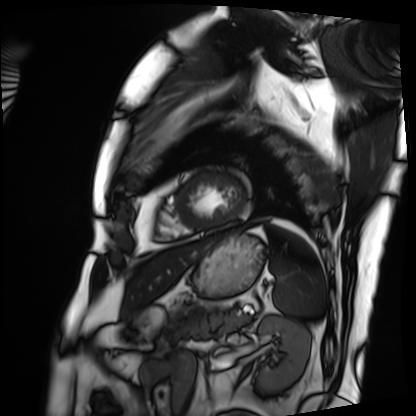
Cardiac MRI. Subject group: patient.